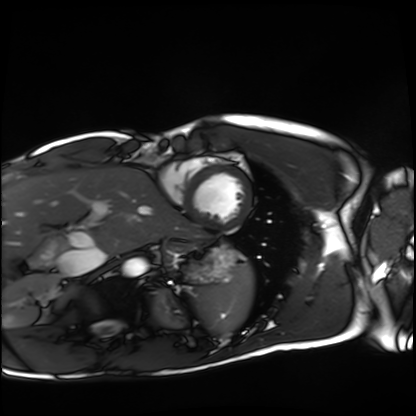
modality = cardiac MRI
subject group = healthy volunteer